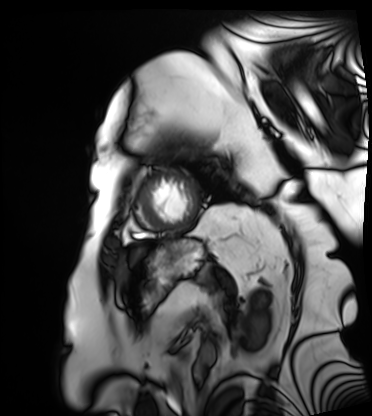
Cardiac MRI. Subject group: patient.